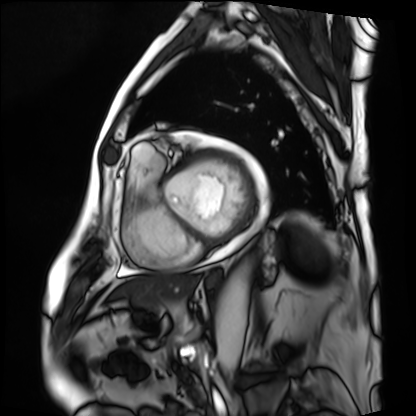
Case summary:
Cardiac MRI. Subject group: patient.